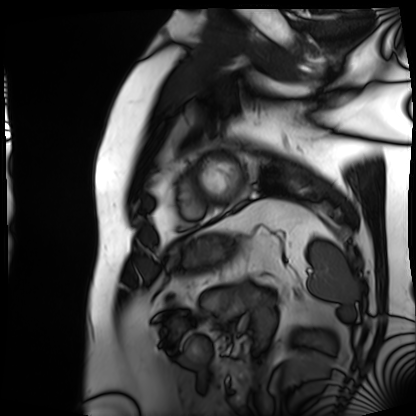
Cardiac MRI. Subject group: patient.